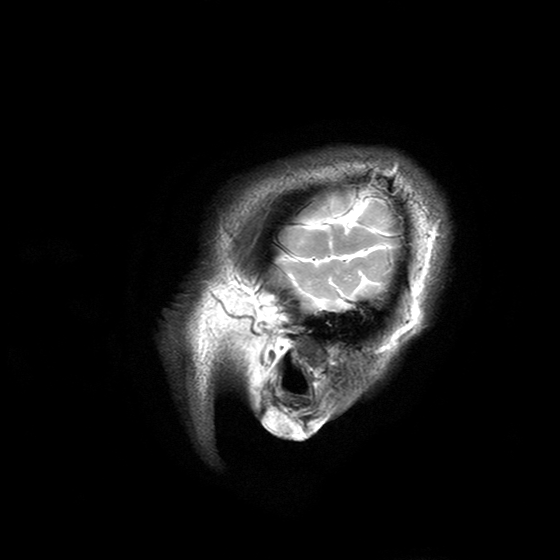
Case summary:
3 Tesla brain MRI. Series: T2-weighted turbo spin echo with SENSE. Study: ring-enhancing brain masses.